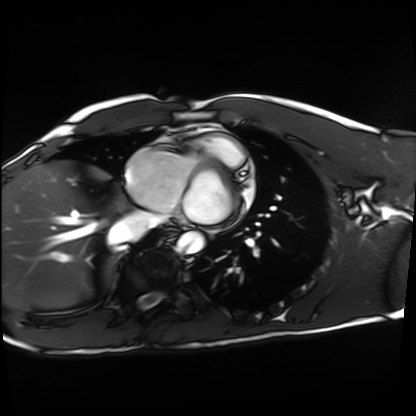
{
  "modality": "cardiac MRI",
  "cohort": "healthy volunteer"
}